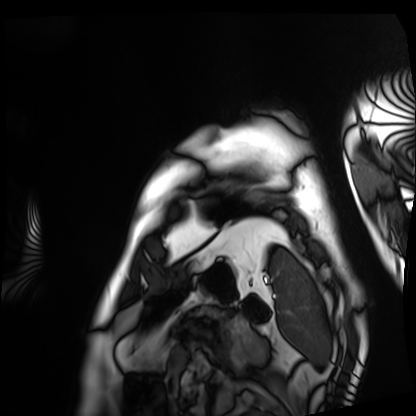
{
  "modality": "cardiac MRI",
  "cohort": "patient"
}